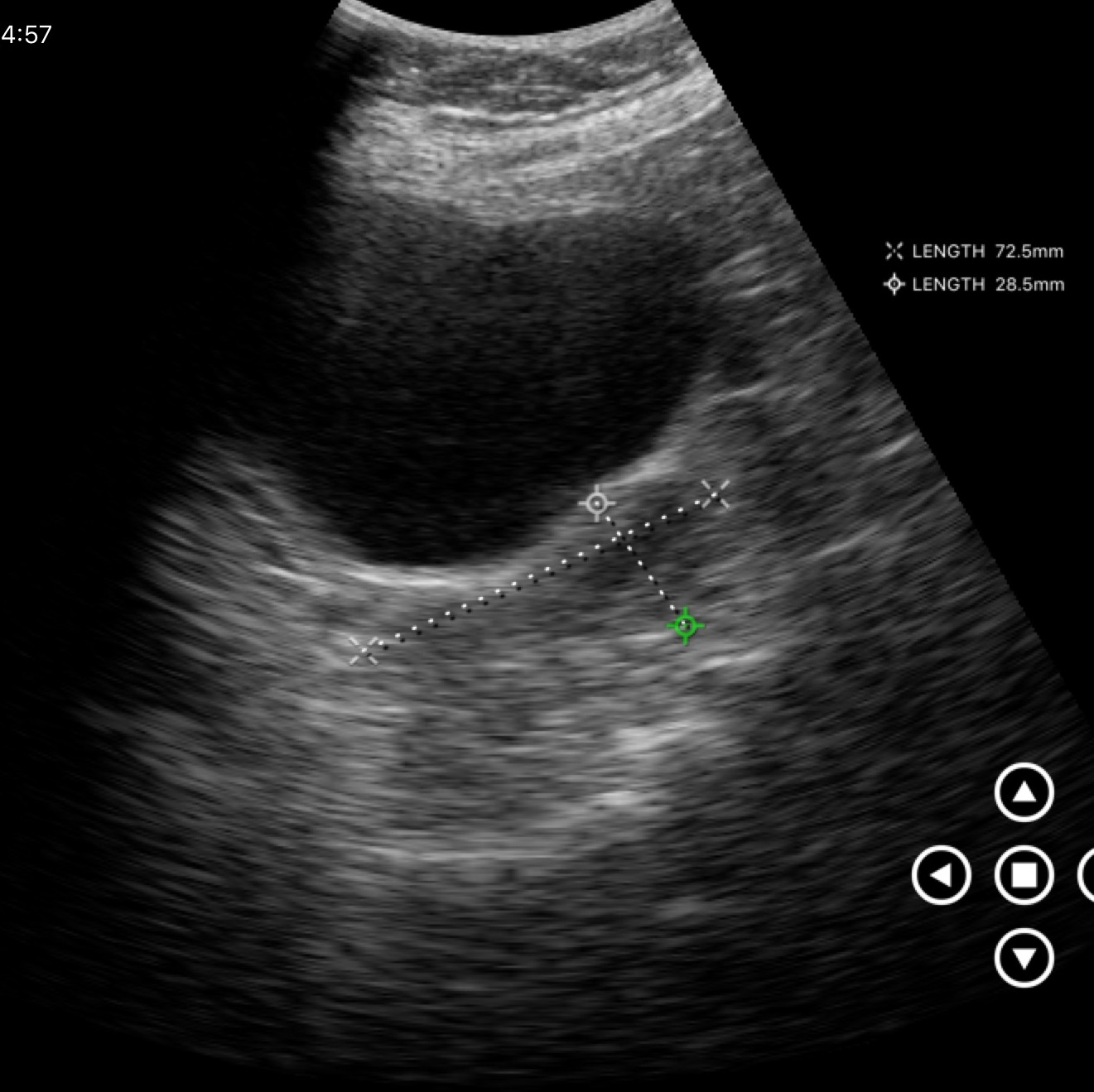
Case summary:
Genitourinary ultrasound.